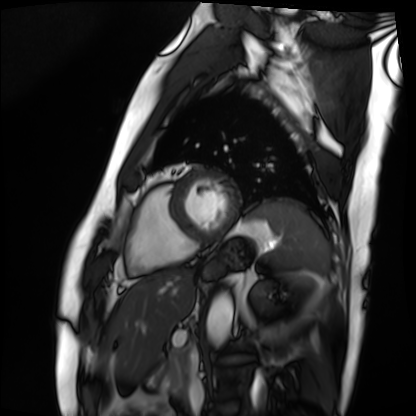
Cardiac MRI. Subject group: patient.